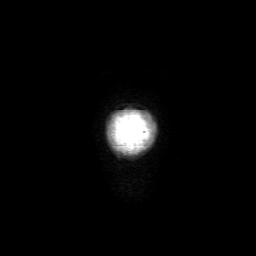
3 Tesla brain MRI. Series: 3D T1-weighted with SENSE. Study: ring-enhancing brain masses.